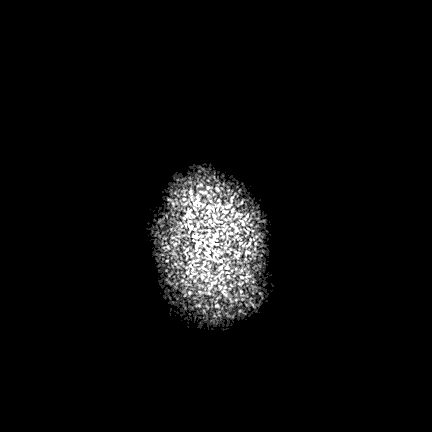
modality = 3 Tesla brain MRI
series = FLAIR VISTA with SENSE
study = ring-enhancing brain masses